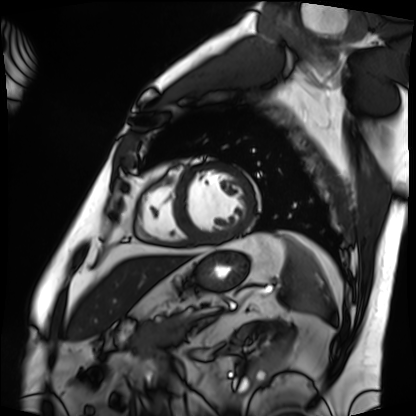
Cardiac MRI. Subject group: patient.